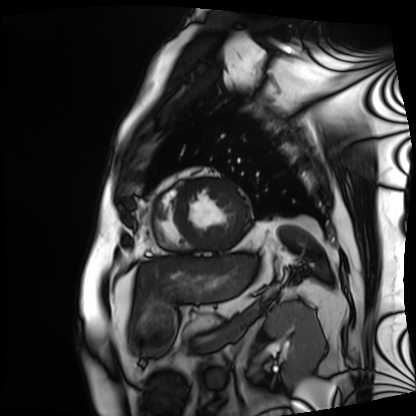
Clinical context:
Cardiac MRI. Subject group: patient.